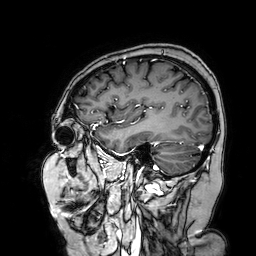
3 Tesla brain MRI. Series: 3D T1-weighted turbo field echo with SENSE. Study: ring-enhancing brain masses.